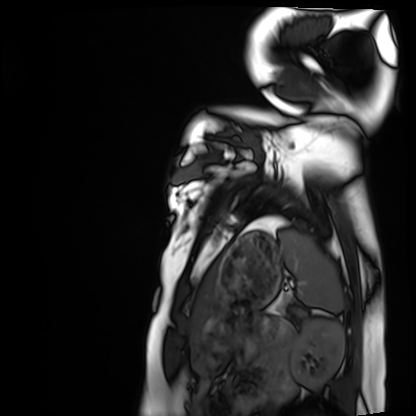
Clinical context:
Cardiac MRI. Subject group: healthy volunteer.